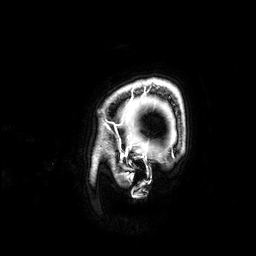
Clinical context: 3 Tesla brain MRI. Study: ring-enhancing brain masses.